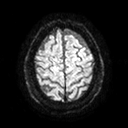
3 Tesla brain MRI. Series: diffusion tensor imaging (medium iso). Study: ring-enhancing brain masses.